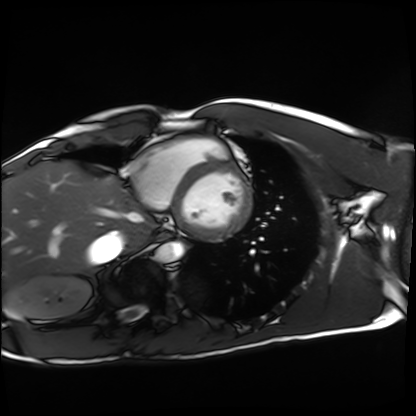
• modality: cardiac MRI
• subject group: healthy volunteer